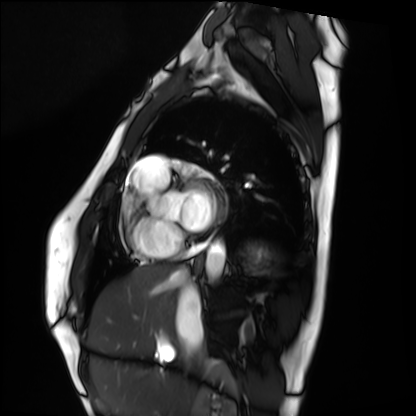
Summary: Cardiac MRI. Subject group: healthy volunteer.